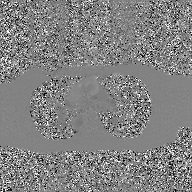
2D phase-contrast cine MRI of the ascending aorta, GAN super-resolution reconstruction.